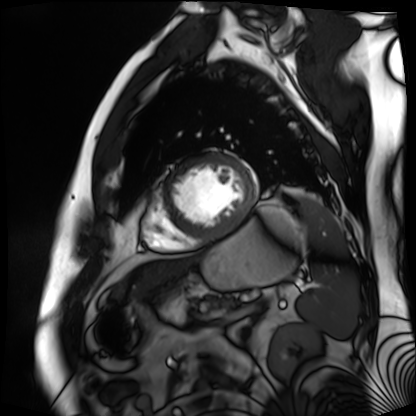
Cardiac MR image of the myocardium.
Subject cohort: cardiac patient.